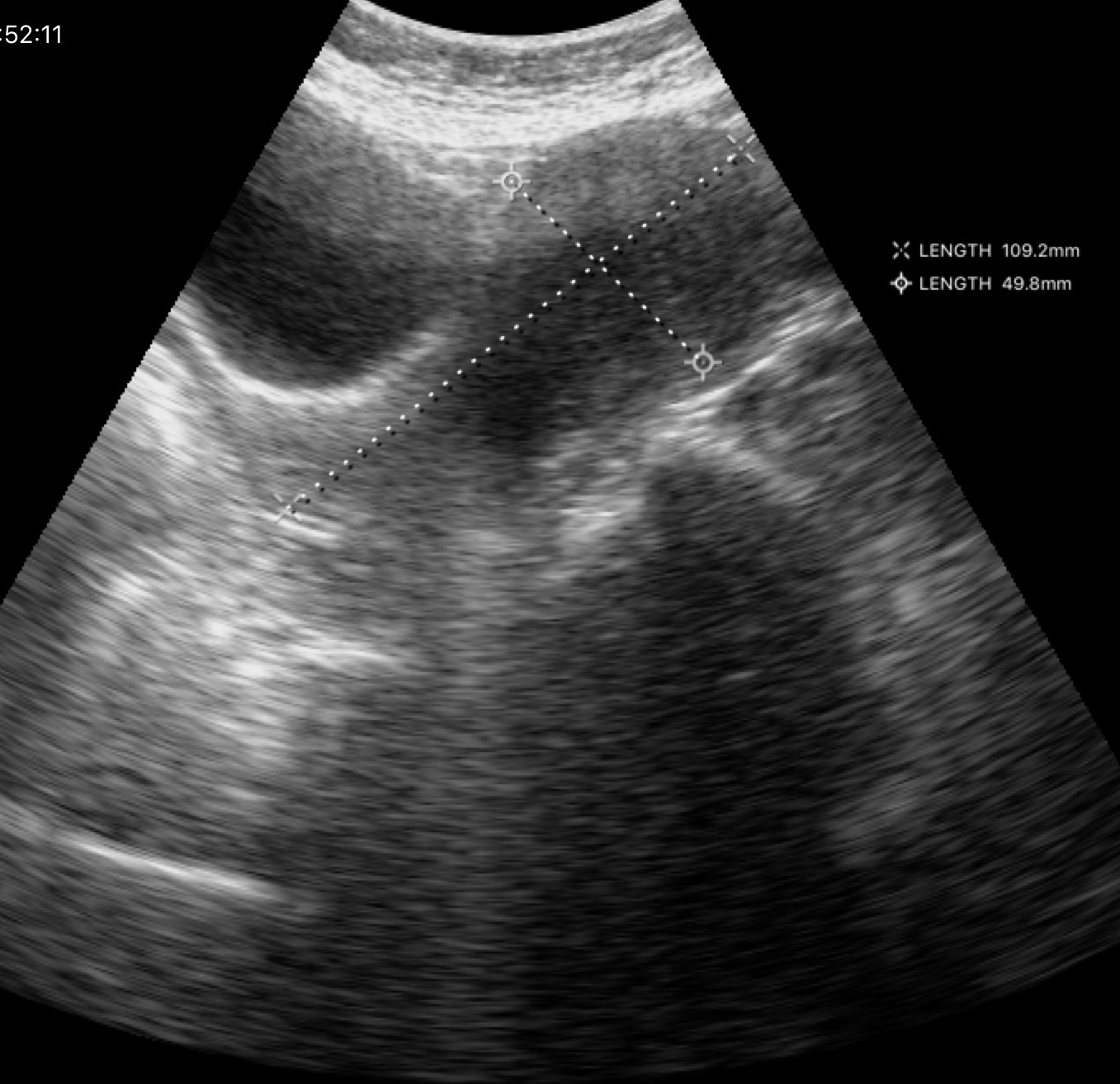
| field | value |
|---|---|
| modality | genitourinary ultrasound |